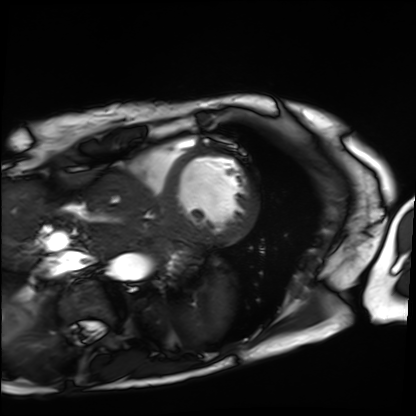
Cardiac MRI.
Subject group: patient.